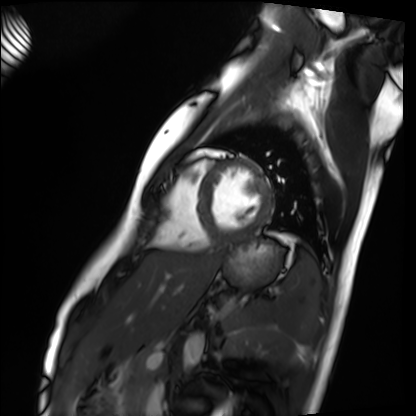
Cardiac MRI. Subject group: healthy volunteer.